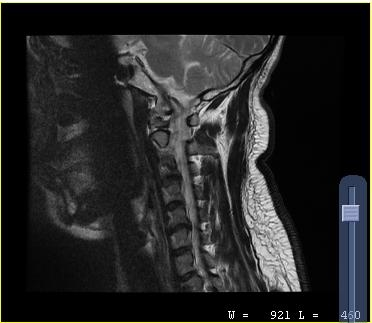
Clinical context:
MRI of the cervical spine. Study: cervical spondylosis.